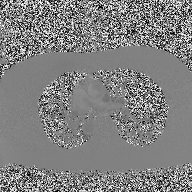
Summary:
2D phase-contrast cine MRI of the ascending aorta, high-resolution GRAPPA acquisition.